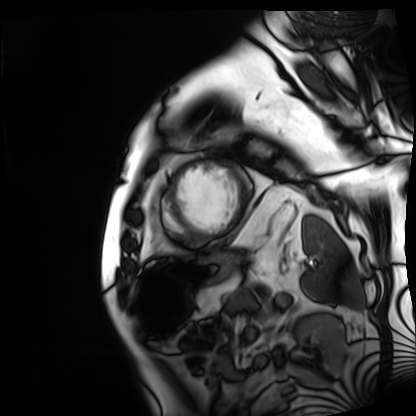
Summary:
Cardiac MRI. Subject group: patient.